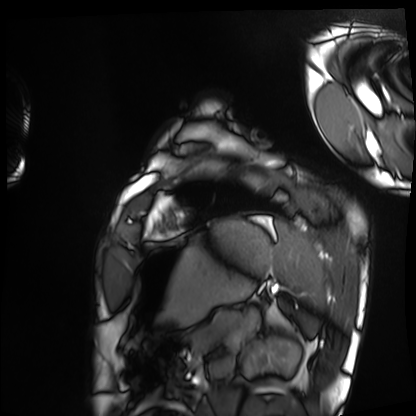
• modality — cardiac MRI
• subject group — healthy volunteer